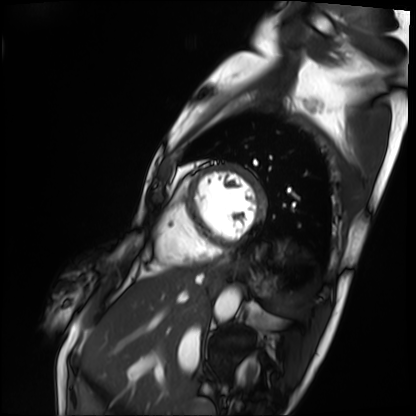
{
  "modality": "cardiac MRI",
  "cohort": "patient"
}